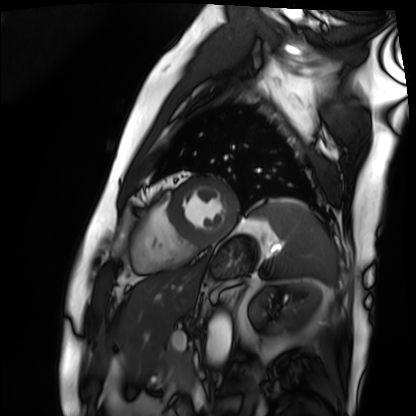
– modality · cardiac MRI
– subject group · patient